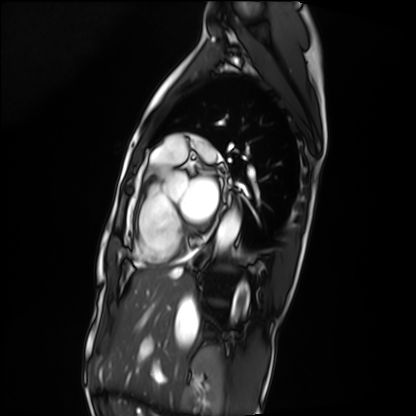
Clinical context: Cardiac MRI. Subject group: patient.